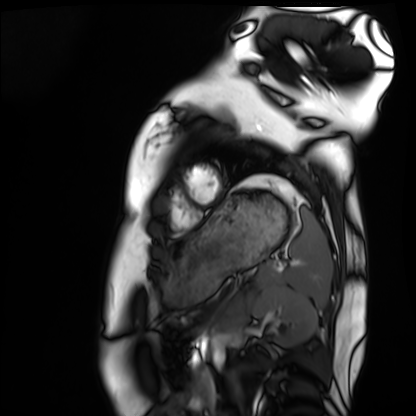
Q: What kind of scan is this?
A: Cardiac MRI.
Subject group: healthy volunteer.